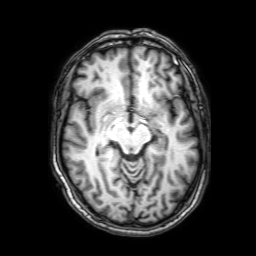
Q: What kind of scan is this?
A: 3 Tesla brain MRI.
Q: Series?
A: 3D T1-weighted with SENSE.
Study: ring-enhancing brain masses.